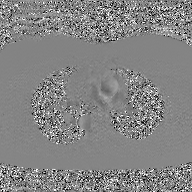
Case summary:
2D phase-contrast cine MRI of the ascending aorta, GAN super-resolution reconstruction.